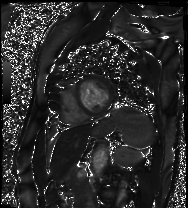
Cardiac MRI.
Subject group: patient.